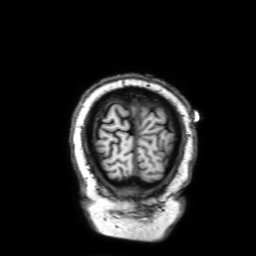
modality = 3 Tesla brain MRI
series = 3D T1-weighted with SENSE
study = ring-enhancing brain masses